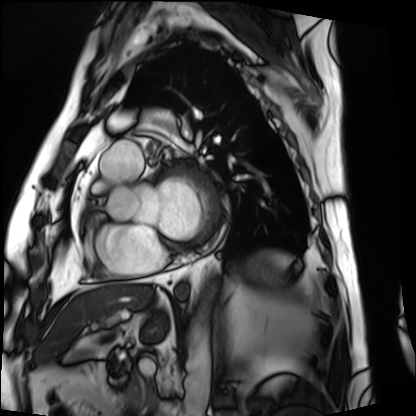
Cardiac MRI.
Subject group: patient.